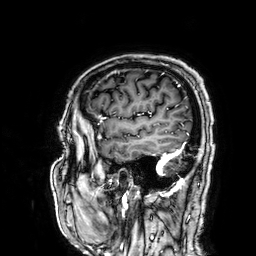
3 Tesla brain MRI.
Series: 3D T1-weighted.
Study: ring-enhancing brain masses.